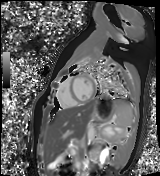
Case summary:
Cardiac MR image of the myocardium. Subject cohort: healthy volunteer.